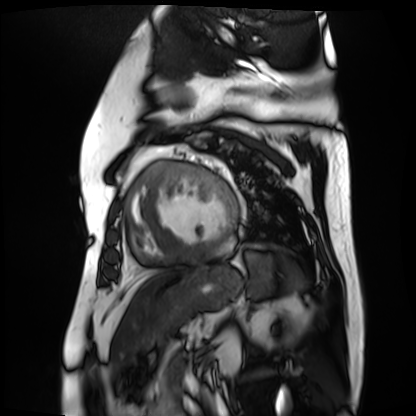
<scan>
<modality>cardiac MR image of the myocardium</modality>
<cohort>cardiac patient</cohort>
</scan>